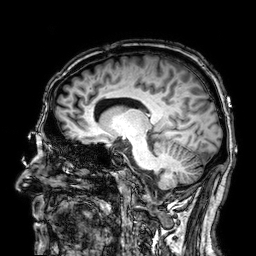
Q: What kind of scan is this?
A: 3 Tesla brain MRI.
Q: Series?
A: 3D T1-weighted.
Study: ring-enhancing brain masses.